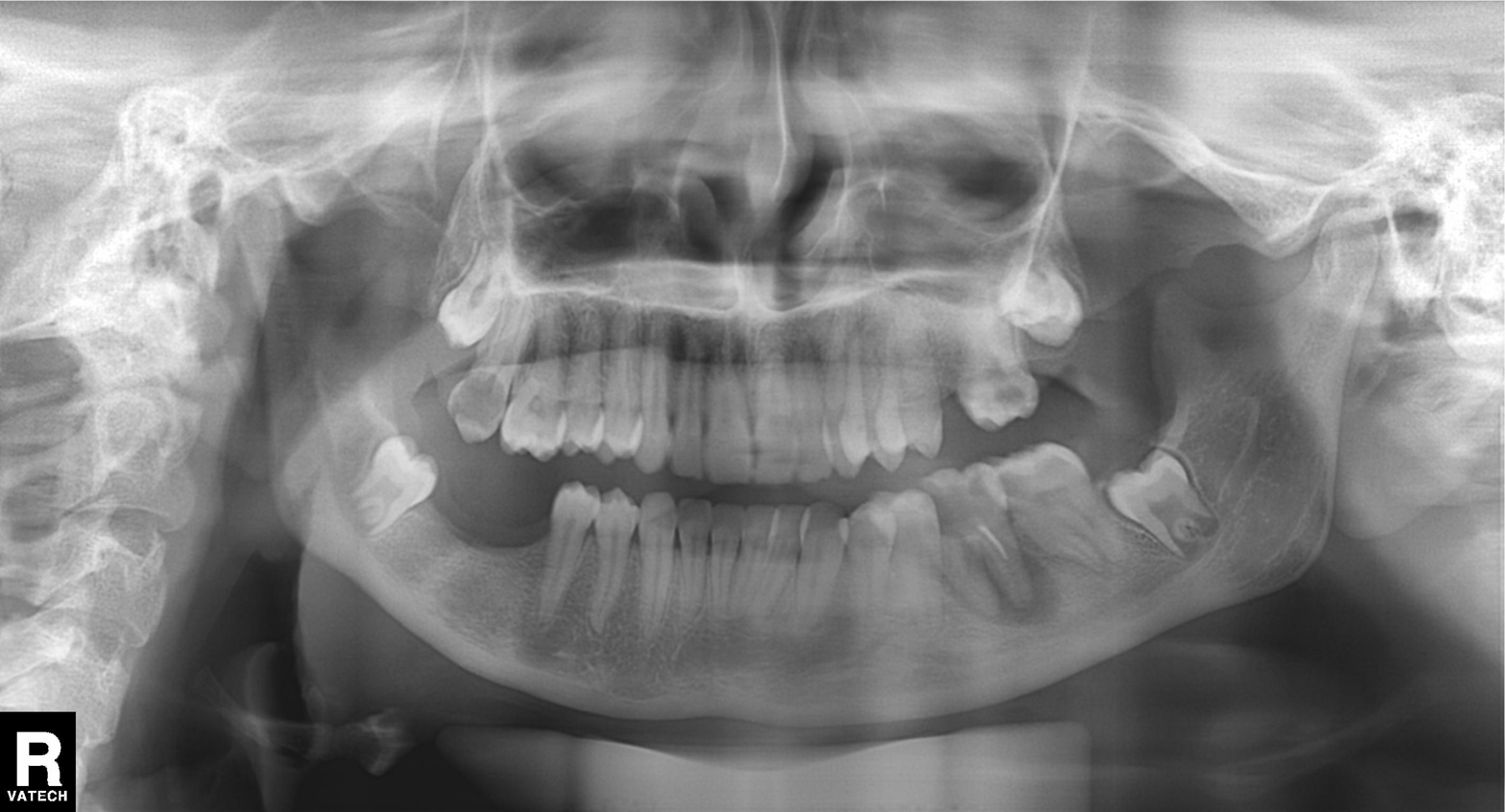
Panoramic dental radiograph (orthopantomogram). Finding: alveolar bone loss.